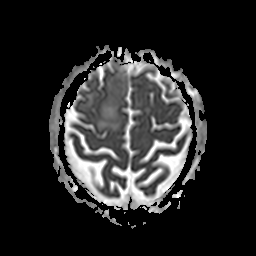
Summary: 3 Tesla brain MRI. Series: apparent diffusion coefficient (ADC) map. Study: ring-enhancing brain masses.